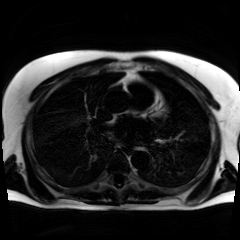
Chemical-shift-encoded cardiac MRI.